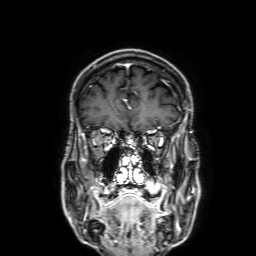
Q: What kind of scan is this?
A: 3 Tesla brain MRI.
Q: Series?
A: 3D T1-weighted with SENSE.
Study: ring-enhancing brain masses.